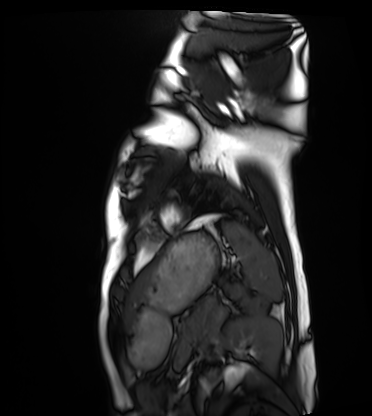
Cardiac MRI. Subject group: healthy volunteer.